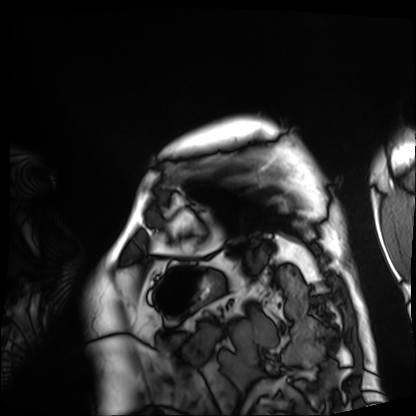
<case>
  <modality>cardiac MRI</modality>
  <cohort>patient</cohort>
</case>